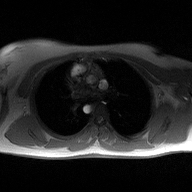
modality — 2D phase-contrast cine MRI of the ascending aorta.